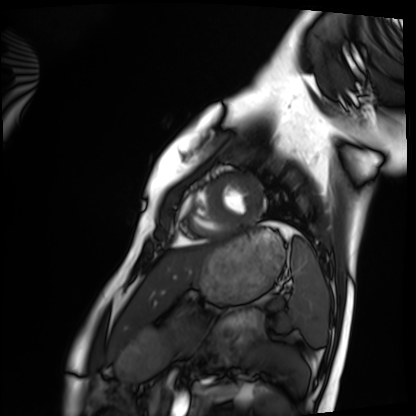
Case summary:
Cardiac MRI. Subject group: healthy volunteer.